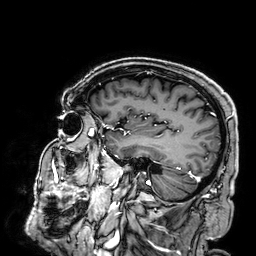
Case summary:
3 Tesla brain MRI. Series: 3D T1-weighted. Study: ring-enhancing brain masses.